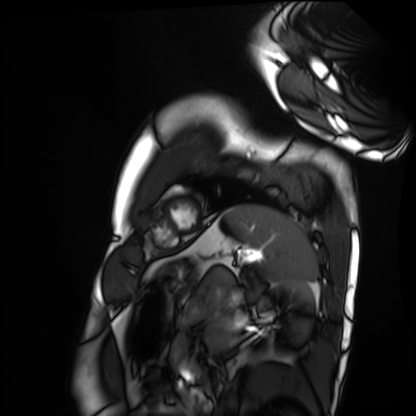
Case:
– modality · cardiac MRI
– subject group · healthy volunteer